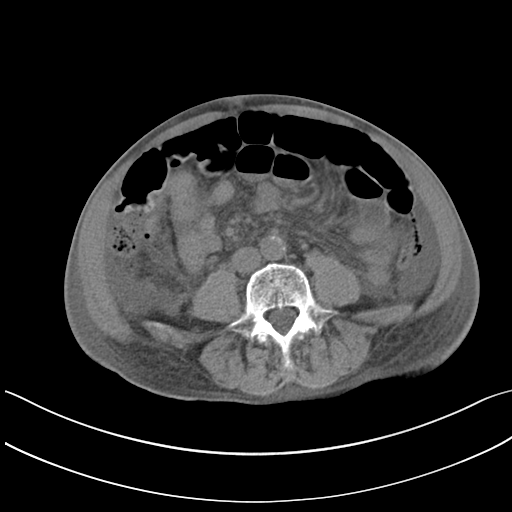
Multiphase abdominal CT, liver, non-contrast phase. Patient: male, age 82. History: cirrhosis.